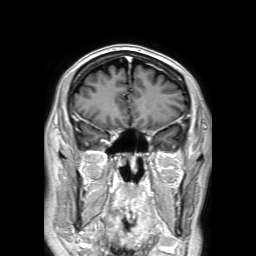
3 Tesla brain MRI.
Series: 3D T1-weighted TFE with SENSE.
Study: ring-enhancing brain masses.